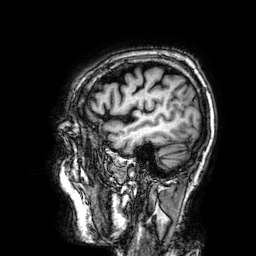
modality:
  type: brain MRI
  field_strength: 3T
series: 3D T1-weighted
study_topic: ring-enhancing brain masses